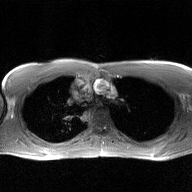
Clinical context: 2D phase-contrast cine MRI of the ascending aorta, GAN super-resolution reconstruction.